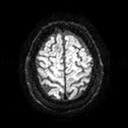
3 Tesla brain MRI.
Series: diffusion tensor imaging (medium iso).
Study: ring-enhancing brain masses.